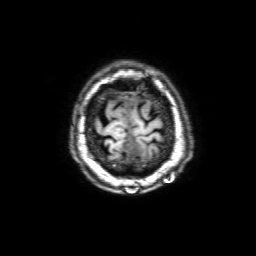
3 Tesla brain MRI.
Series: 3D T1-weighted with SENSE.
Study: ring-enhancing brain masses.